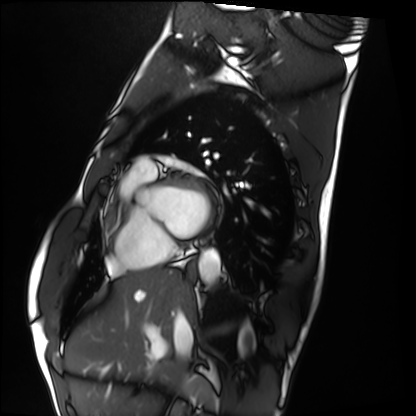
| field | value |
|---|---|
| modality | cardiac MRI |
| subject group | healthy volunteer |